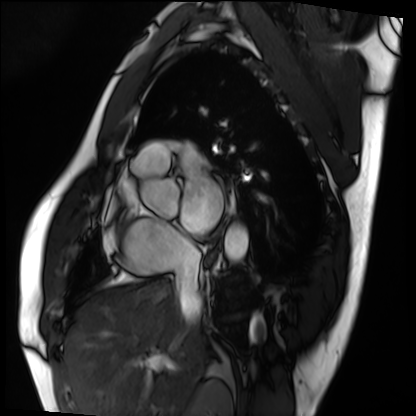
Cardiac MRI. Subject group: patient.